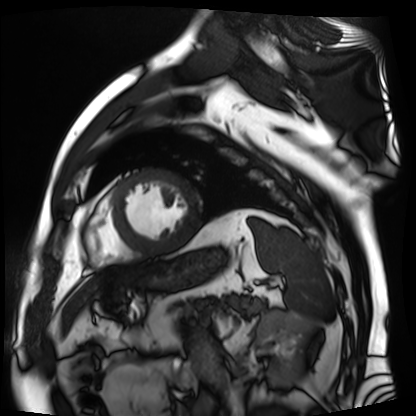
Cardiac MR image of the myocardium. Subject cohort: cardiac patient.